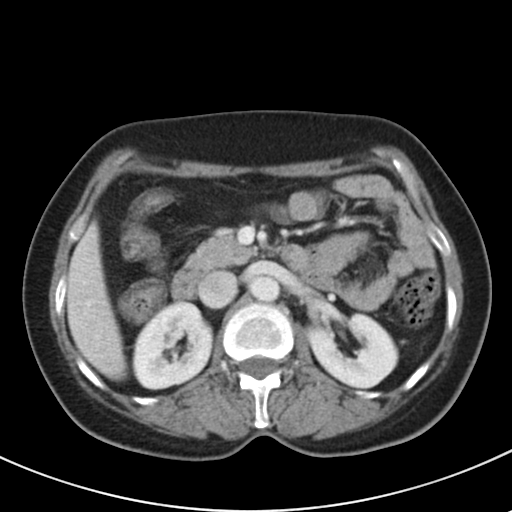
Case summary: Multiphase abdominal CT, liver, portal venous phase. Patient: female, age 48. History: prior chemotherapy.